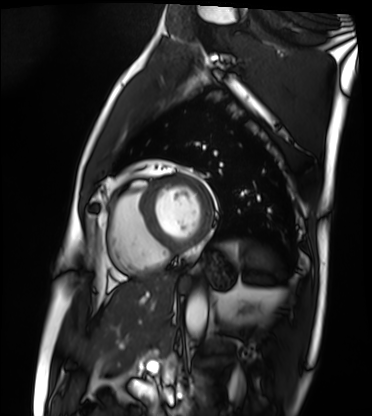
modality: cardiac MRI, subject group: patient.